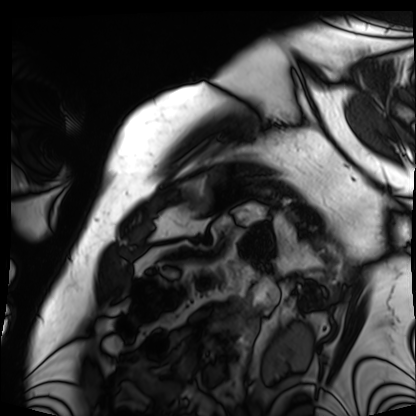
Cardiac MRI. Subject group: patient.